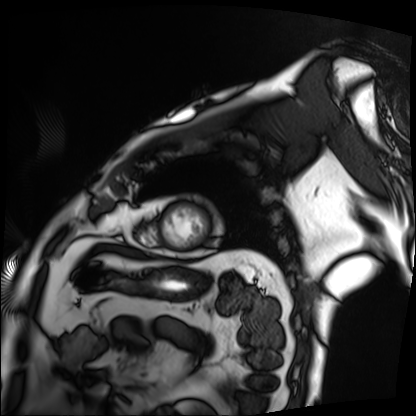
Clinical context: Cardiac MRI. Subject group: patient.